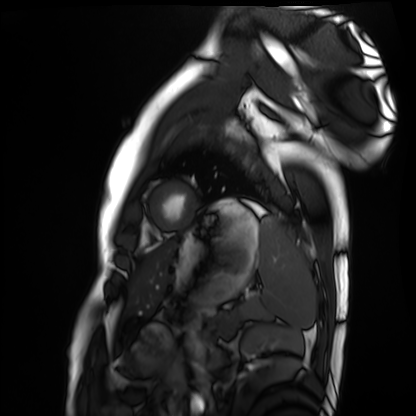
Cardiac MRI.
Subject group: healthy volunteer.